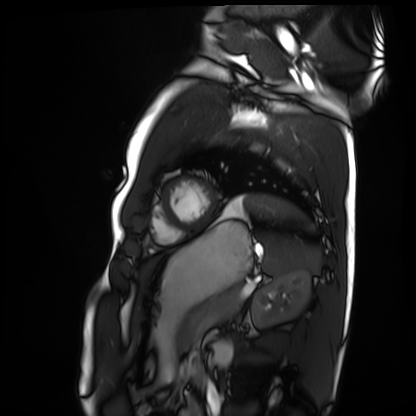
Clinical context:
Cardiac MRI. Subject group: healthy volunteer.